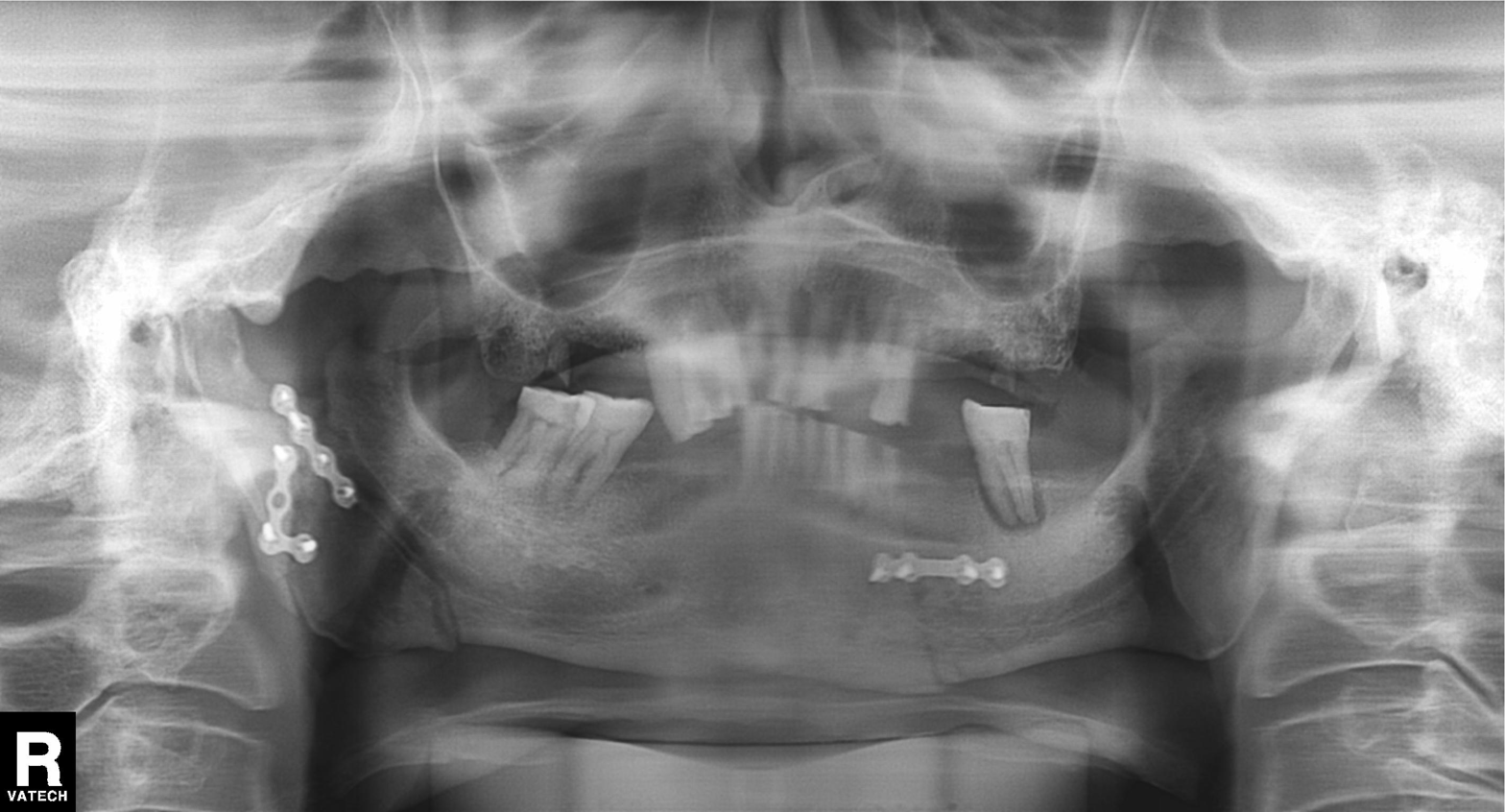
| feature | finding |
|---|---|
| modality | panoramic dental radiograph (orthopantomogram) |
| finding | alveolar bone loss |